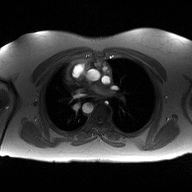
modality — 2D phase-contrast cine MRI of the ascending aorta.